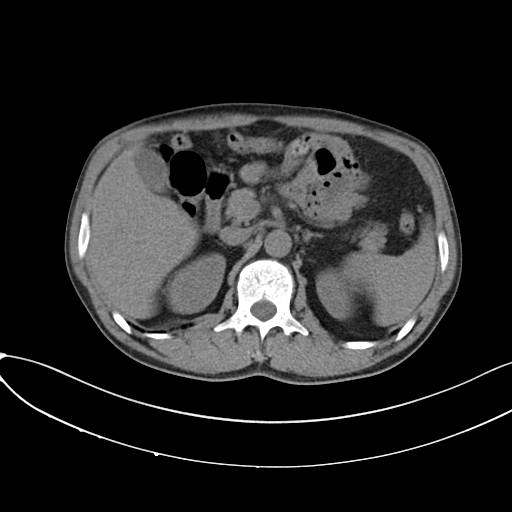
Multiphase abdominal CT, liver, non-contrast phase. Patient: male, age 50. History: prior chemotherapy.